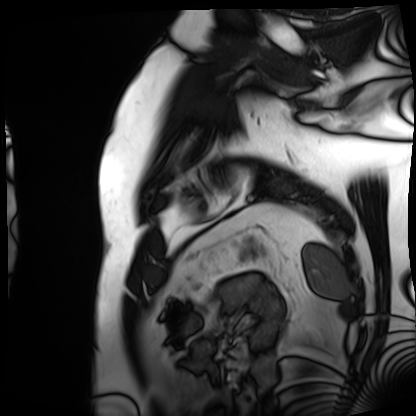
<case>
<modality>cardiac MRI</modality>
<cohort>patient</cohort>
</case>